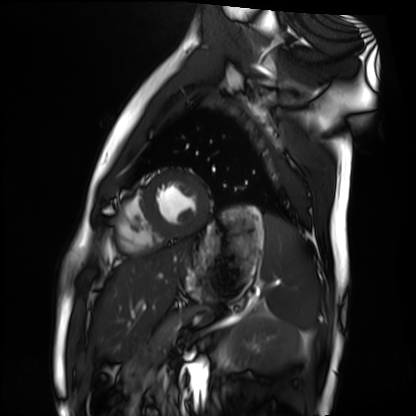
{
  "modality": "cardiac MRI",
  "cohort": "healthy volunteer"
}